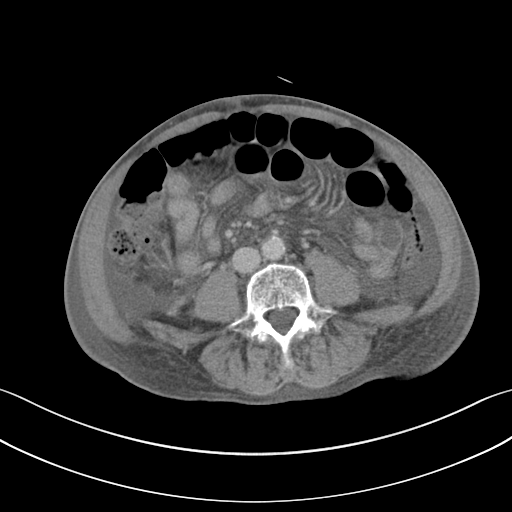
Summary:
Multiphase abdominal CT, liver, portal venous phase. Patient: male, age 82. History: cirrhosis.